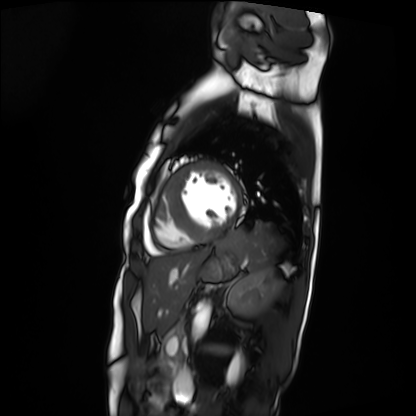
modality = cardiac MRI
subject group = patient